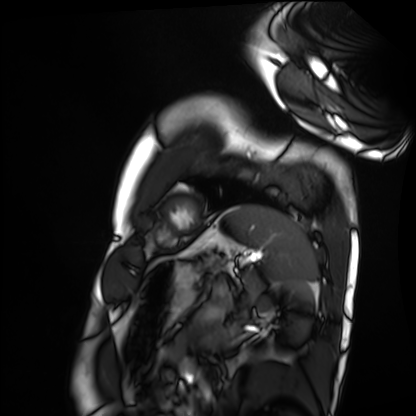
modality: cardiac MRI
subject group: healthy volunteer